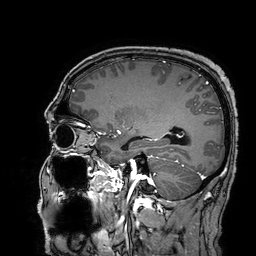
3 Tesla brain MRI.
Series: 3D T1-weighted turbo field echo with SENSE.
Study: ring-enhancing brain masses.